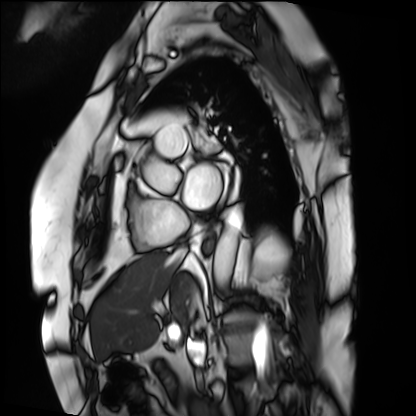
Q: What kind of scan is this?
A: Cardiac MRI.
Subject group: patient.